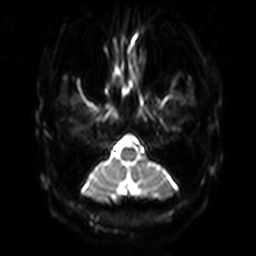
modality=3 Tesla brain MRI
study=ring-enhancing brain masses